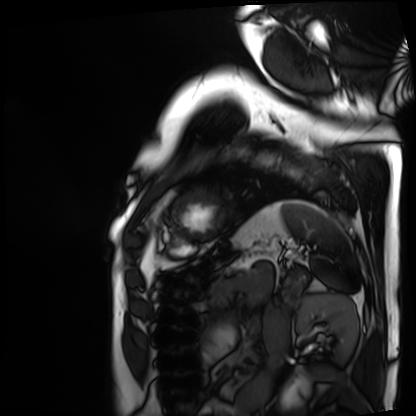
Cardiac MRI. Subject group: patient.